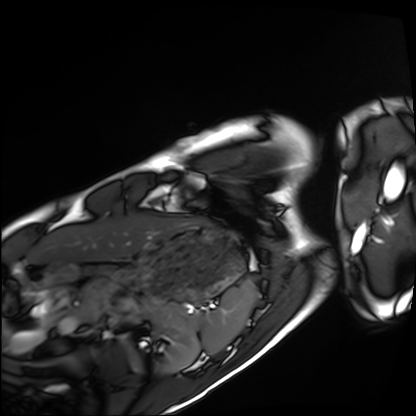
Cardiac MRI.
Subject group: healthy volunteer.